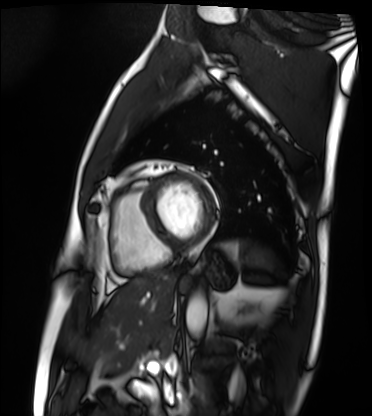
modality: cardiac MRI | subject group: patient.